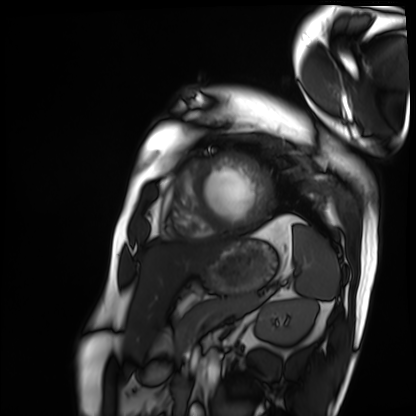
modality = cardiac MRI | subject group = patient.